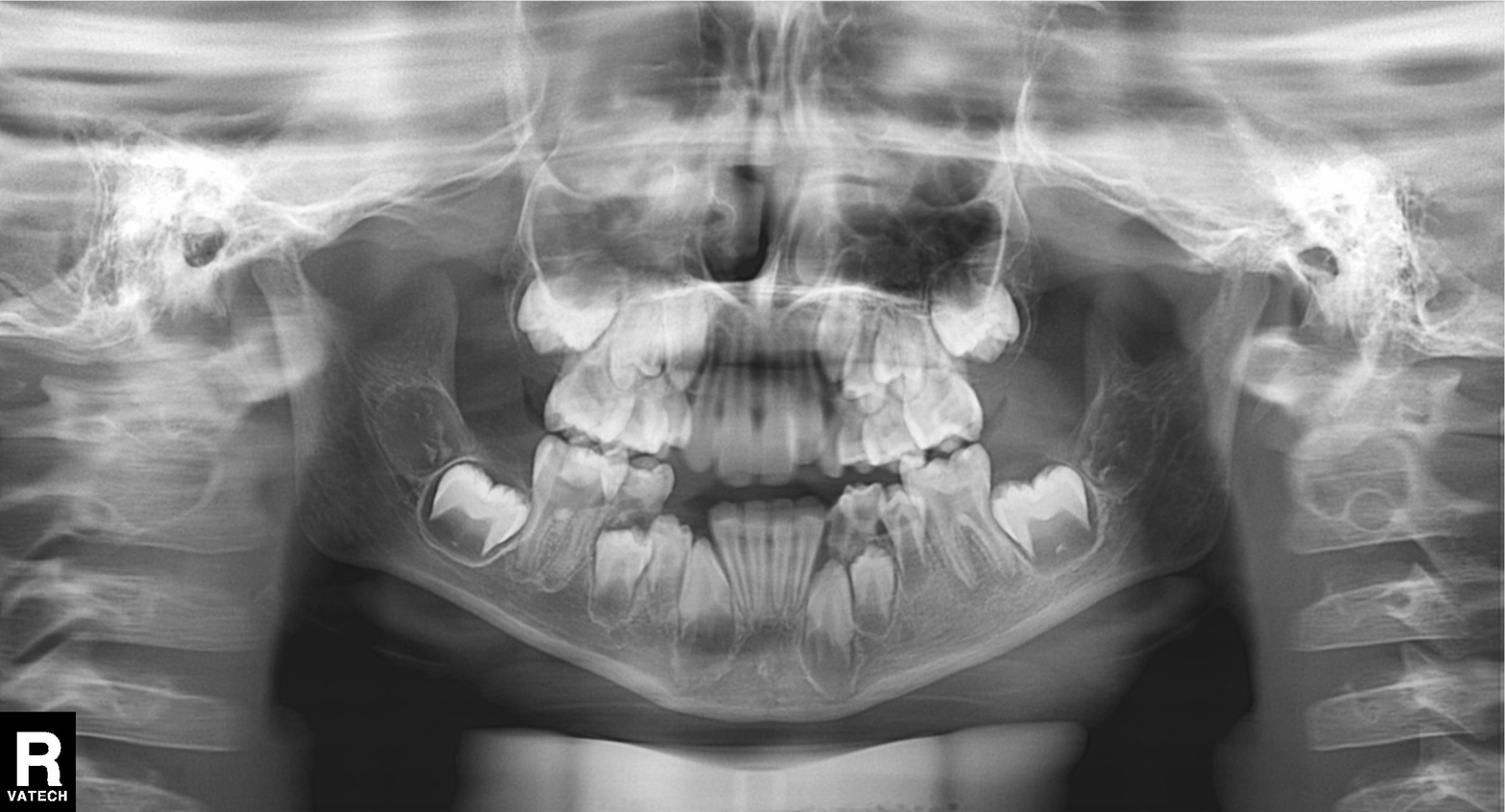
modality: panoramic dental radiograph (orthopantomogram)
finding: alveolar bone loss